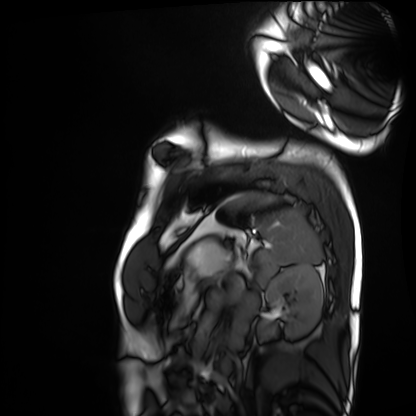
Clinical context: Cardiac MRI. Subject group: healthy volunteer.